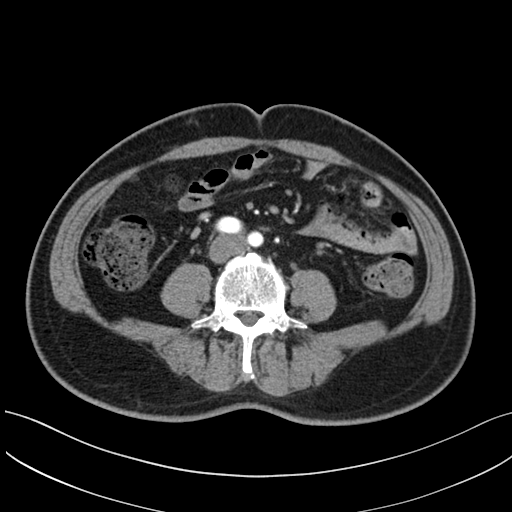
Summary: Multiphase abdominal CT, liver, arterial phase. Patient: male, age 48.